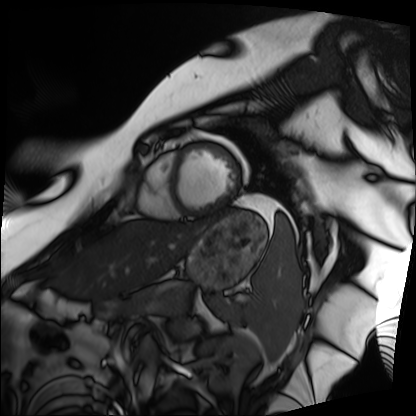
– modality — cardiac MRI
– subject group — patient